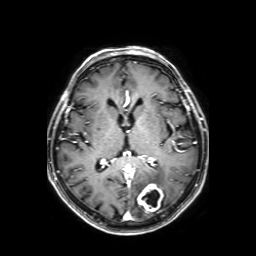
| field | value |
|---|---|
| modality | 3 Tesla brain MRI |
| study | ring-enhancing brain masses |